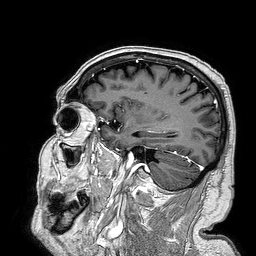
Summary: 3 Tesla brain MRI. Series: 3D T1-weighted turbo field echo. Study: ring-enhancing brain masses.